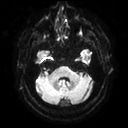
<scan>
<modality>
  <type>brain MRI</type>
  <field_strength>3T</field_strength>
</modality>
<series>diffusion tensor imaging (medium iso)</series>
<study_topic>ring-enhancing brain masses</study_topic>
</scan>